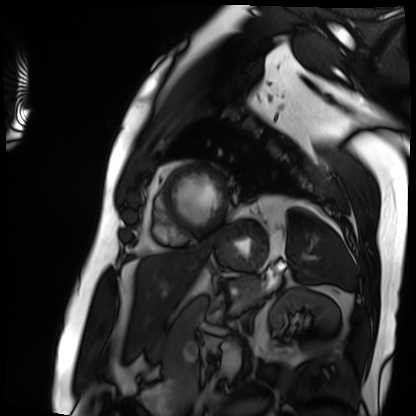
Q: What kind of scan is this?
A: Cardiac MRI.
Subject group: patient.